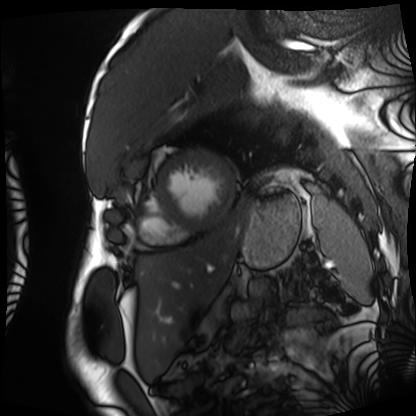
modality=cardiac MRI | subject group=patient.